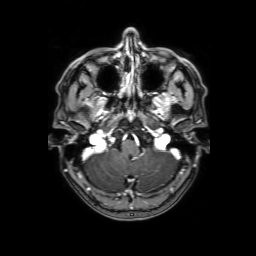
3 Tesla brain MRI.
Study: ring-enhancing brain masses.